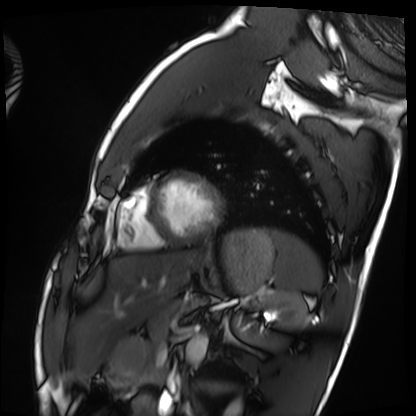
modality: cardiac MRI
cohort: healthy volunteer